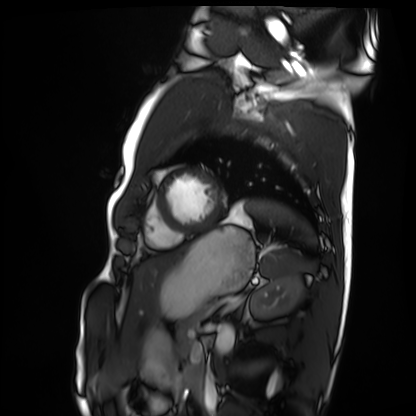
modality: cardiac MRI; subject group: healthy volunteer.